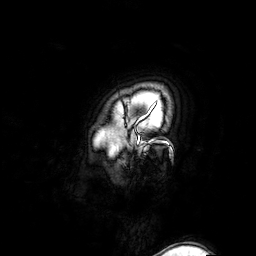
Case:
– modality · 3 Tesla brain MRI
– series · 3D T1-weighted turbo field echo with SENSE
– study · ring-enhancing brain masses